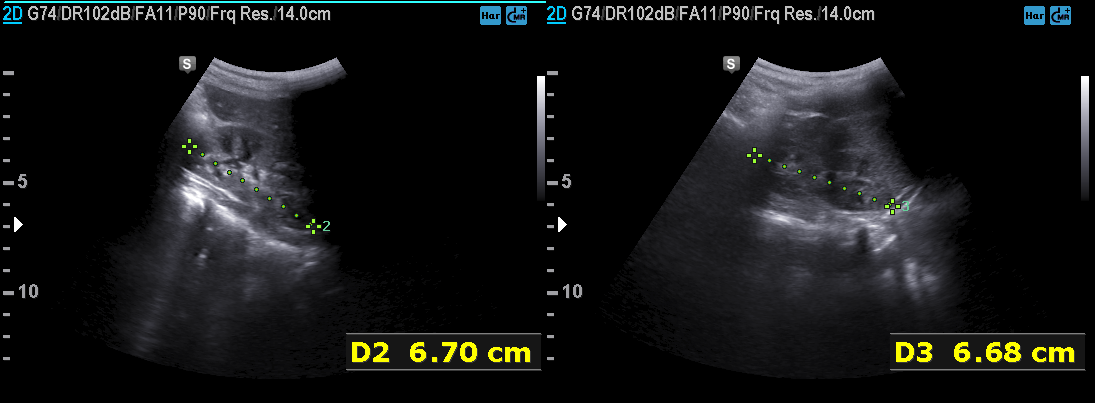
Genitourinary ultrasound.